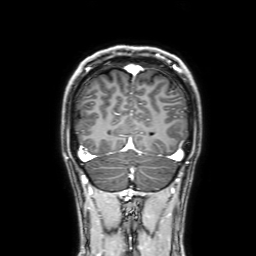
Case:
• modality — 3 Tesla brain MRI
• series — 3D T1-weighted with SENSE
• study — ring-enhancing brain masses